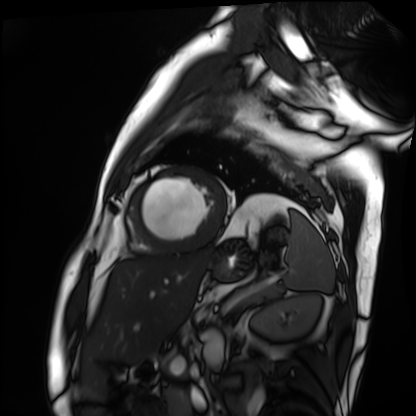
modality: cardiac MRI, subject group: patient.